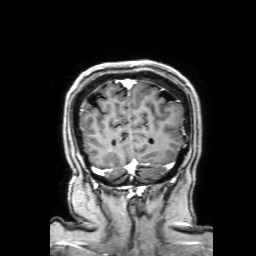
{
  "modality": {
    "type": "brain MRI",
    "field_strength": "3T"
  },
  "series": "3D T1-weighted with SENSE",
  "study_topic": "ring-enhancing brain masses"
}